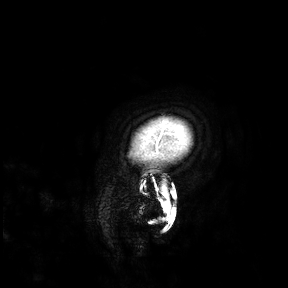
modality — 3 Tesla brain MRI; study — ring-enhancing brain masses.